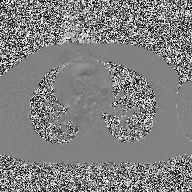
2D phase-contrast cine MRI of the ascending aorta, high-resolution GRAPPA acquisition.